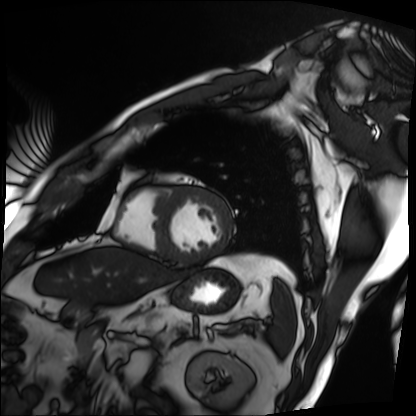
modality: cardiac MRI
subject group: patient